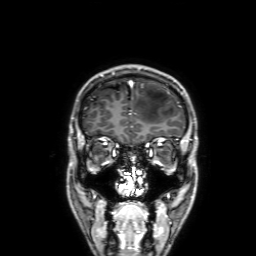
Summary: 3 Tesla brain MRI. Series: 3D T1-weighted with SENSE. Study: ring-enhancing brain masses.